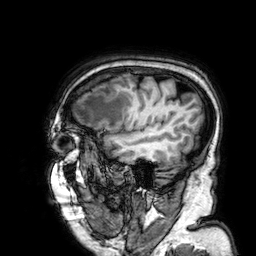
3 Tesla brain MRI. Series: 3D T1-weighted. Study: ring-enhancing brain masses.